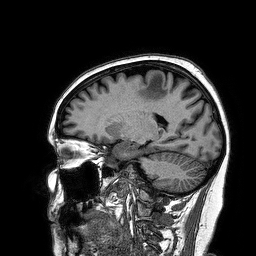
* modality · 3 Tesla brain MRI
* series · 3D T1-weighted turbo field echo
* study · ring-enhancing brain masses